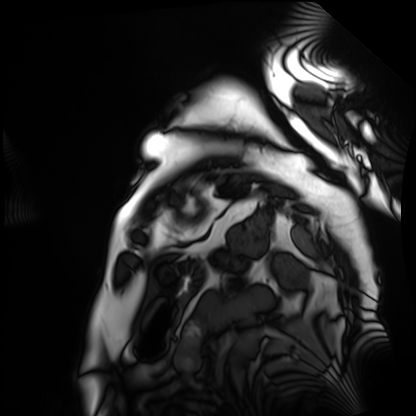
modality: cardiac MRI | subject group: patient.